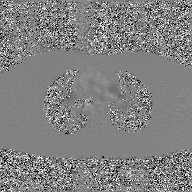
* modality · 2D phase-contrast cine MRI of the ascending aorta, GAN super-resolution reconstruction